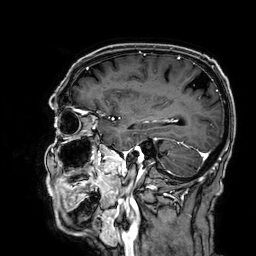
3 Tesla brain MRI. Series: 3D T1-weighted. Study: ring-enhancing brain masses.